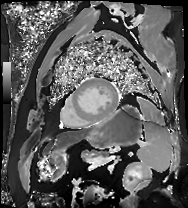
Q: What kind of scan is this?
A: Cardiac MR image of the myocardium.
Subject cohort: cardiac patient.